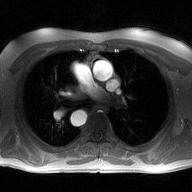
Case:
- modality — 2D phase-contrast cine MRI of the ascending aorta